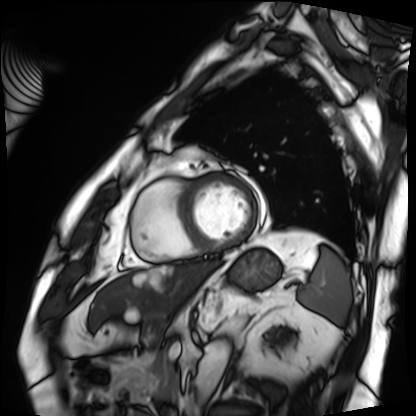
Cardiac MRI. Subject group: patient.